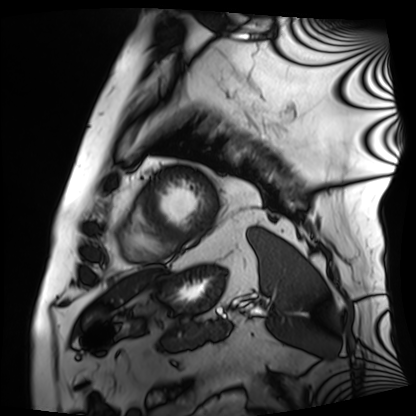
Q: What kind of scan is this?
A: Cardiac MRI.
Subject group: patient.